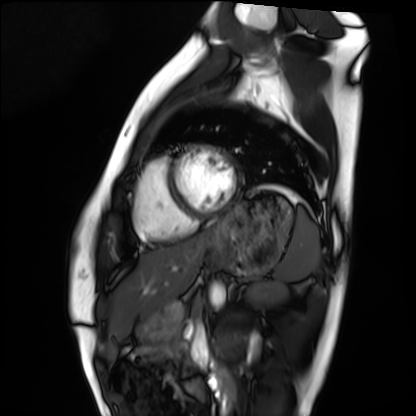
Cardiac MRI. Subject group: healthy volunteer.